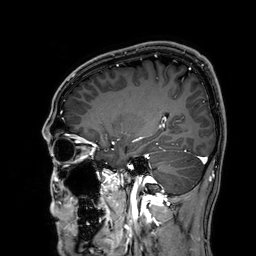
Q: What kind of scan is this?
A: 3 Tesla brain MRI.
Q: Series?
A: 3D T1-weighted.
Study: ring-enhancing brain masses.